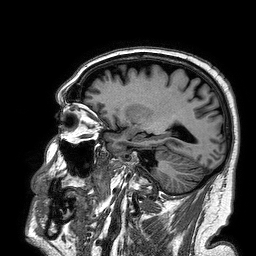
Q: What kind of scan is this?
A: 3 Tesla brain MRI.
Study: ring-enhancing brain masses.